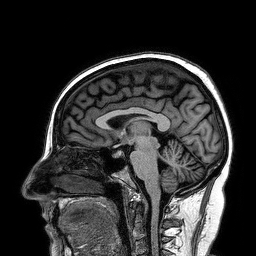
Summary:
3 Tesla brain MRI. Series: 3D T1-weighted turbo field echo. Study: ring-enhancing brain masses.